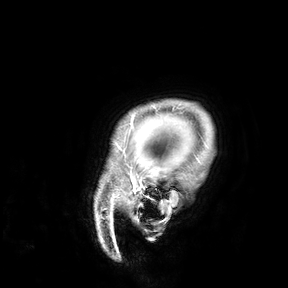
Case summary: 3 Tesla brain MRI. Study: ring-enhancing brain masses.